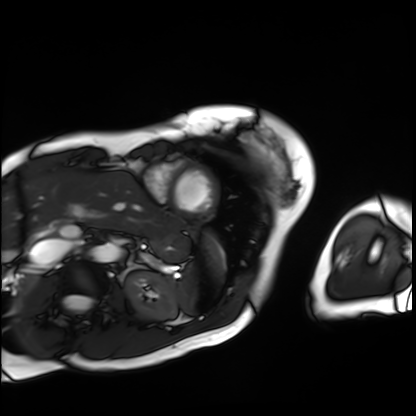
Cardiac MRI. Subject group: patient.